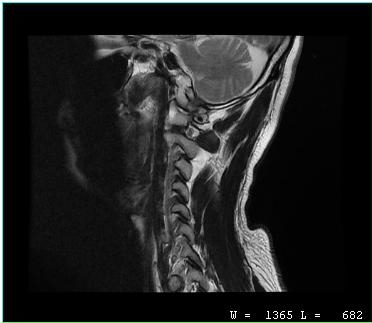
MRI of the cervical spine. Study: cervical spondylosis.